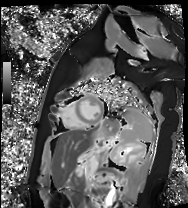
modality=cardiac MR image of the myocardium
subject cohort=healthy volunteer